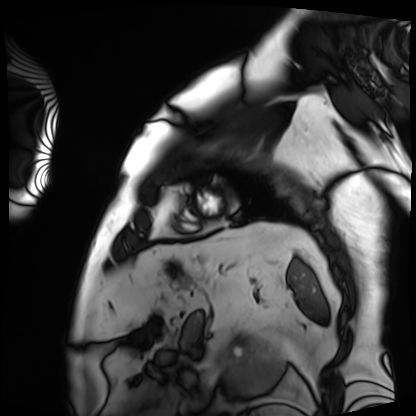
Clinical context: Cardiac MRI. Subject group: patient.